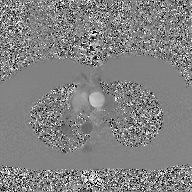
Case:
• modality: 2D phase-contrast cine MRI of the ascending aorta, GAN super-resolution reconstruction